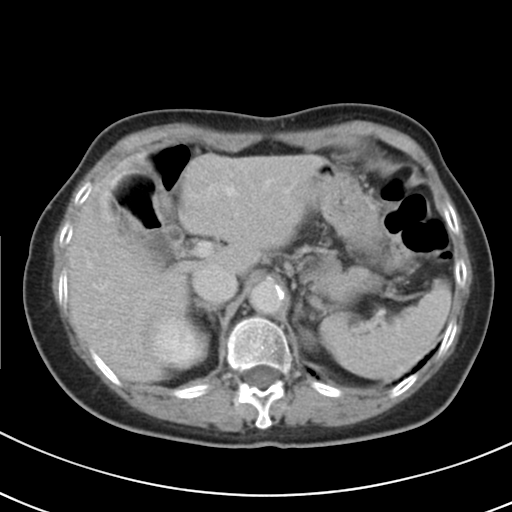
modality — multiphase abdominal CT, liver, delayed phase.